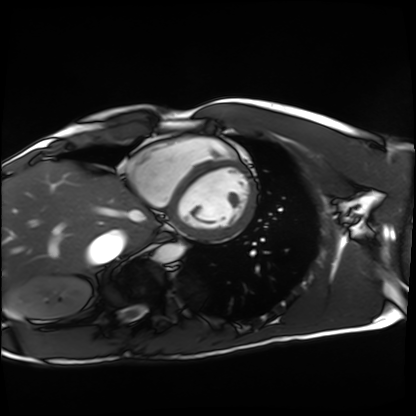
Q: What kind of scan is this?
A: Cardiac MRI.
Subject group: healthy volunteer.